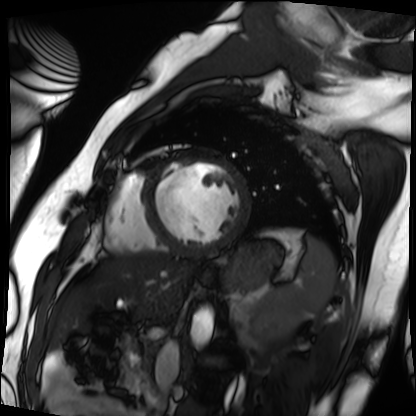
Cardiac MRI. Subject group: patient.